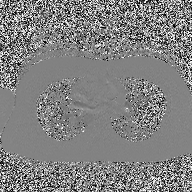
<scan>
<modality>
  <type>2D phase-contrast cine MRI</type>
  <region>ascending aorta</region>
  <reconstruction>high-resolution GRAPPA acquisition</reconstruction>
</modality>
</scan>